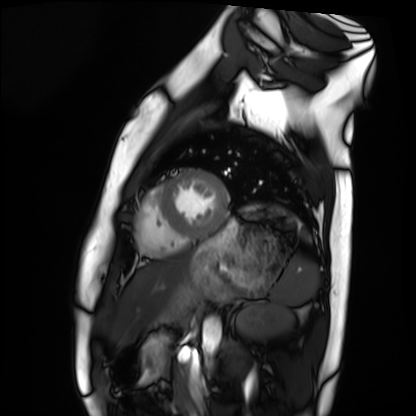
Case summary: Cardiac MRI. Subject group: healthy volunteer.